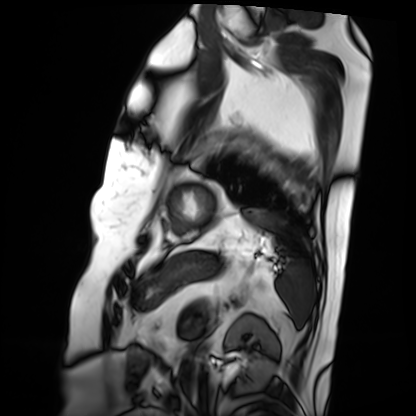
modality = cardiac MRI | subject group = patient.